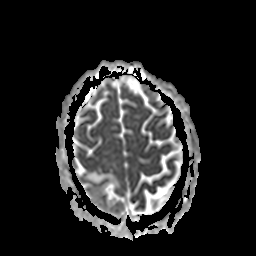
modality: 3 Tesla brain MRI; series: apparent diffusion coefficient (ADC) map; study: ring-enhancing brain masses.